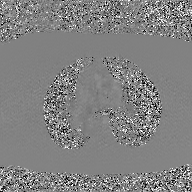
Clinical context: 2D phase-contrast cine MRI of the ascending aorta, GAN super-resolution reconstruction.